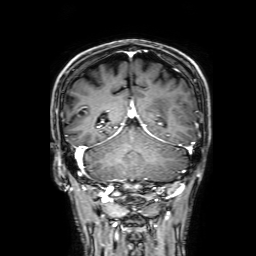
modality: 3 Tesla brain MRI; series: 3D T1-weighted with SENSE; study: ring-enhancing brain masses.